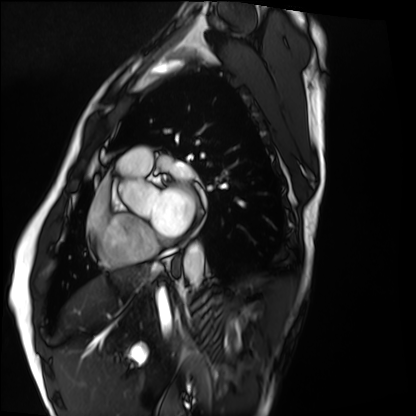
Clinical context: Cardiac MRI. Subject group: healthy volunteer.